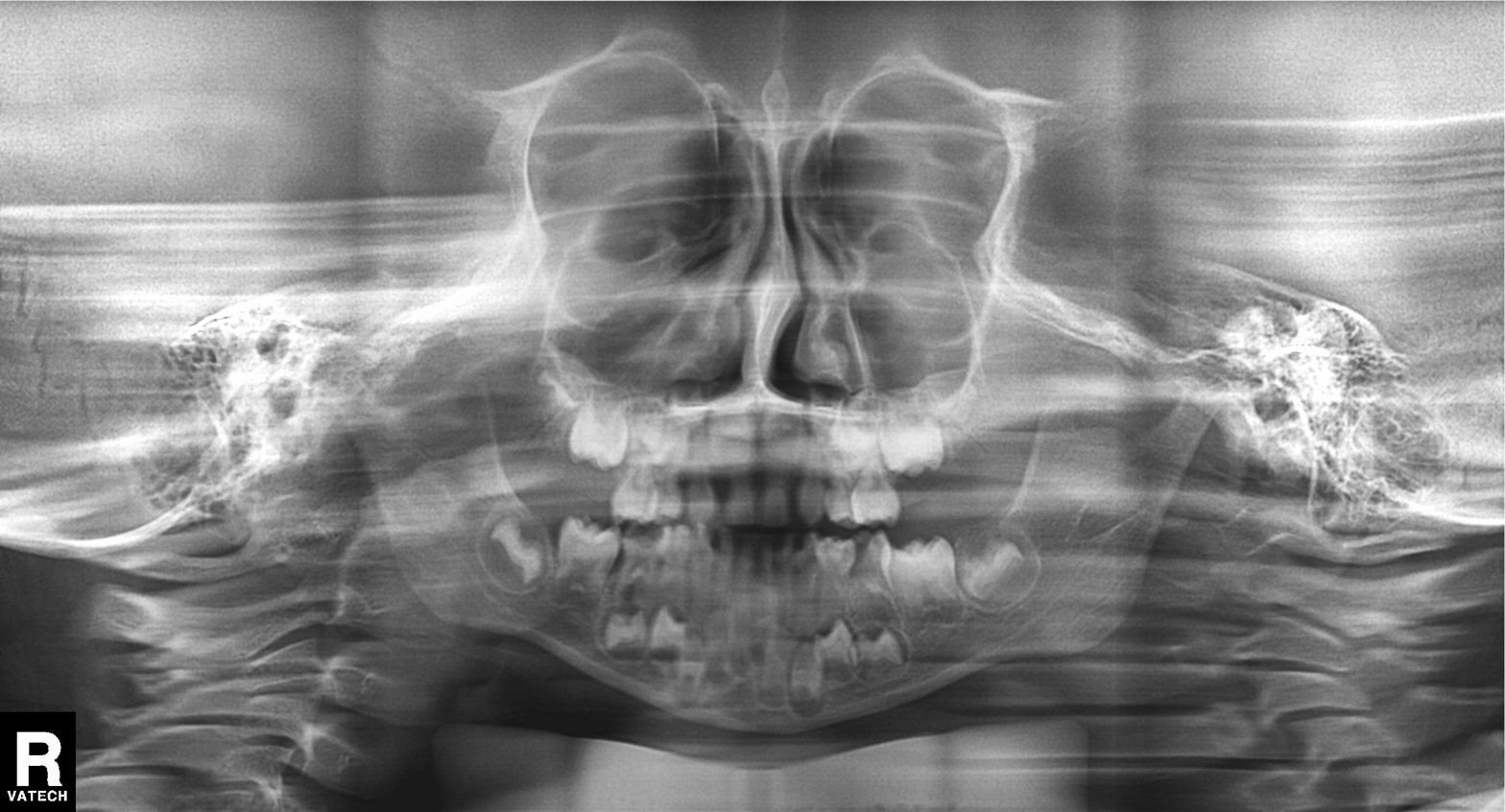
| field | value |
|---|---|
| modality | panoramic dental radiograph (orthopantomogram) |
| finding | alveolar bone loss |